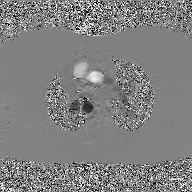
Clinical context: 2D phase-contrast cine MRI of the ascending aorta, GAN super-resolution reconstruction.